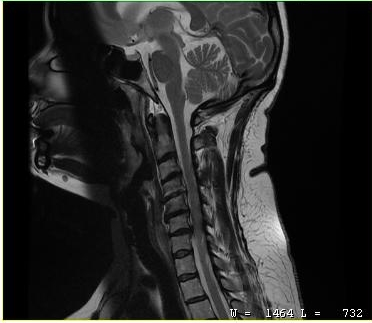
<case>
<modality>
  <type>cervical spine MRI</type>
</modality>
<study_topic>cervical spondylosis</study_topic>
</case>